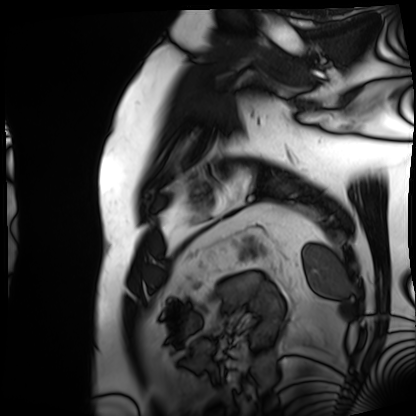
* modality — cardiac MRI
* subject group — patient